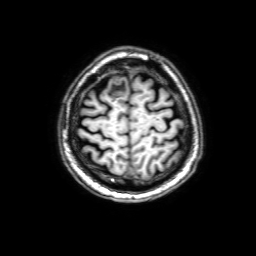
3 Tesla brain MRI. Series: 3D T1-weighted with SENSE. Study: ring-enhancing brain masses.